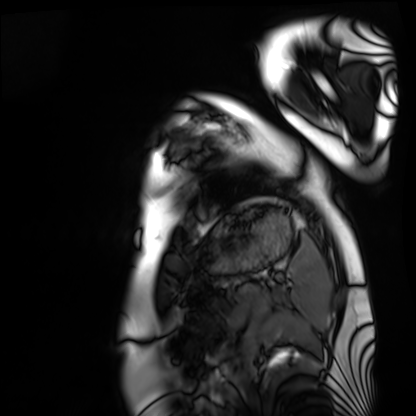
Cardiac MRI. Subject group: healthy volunteer.